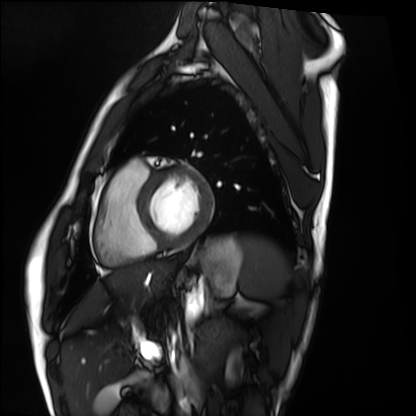
Case summary:
Cardiac MRI. Subject group: healthy volunteer.